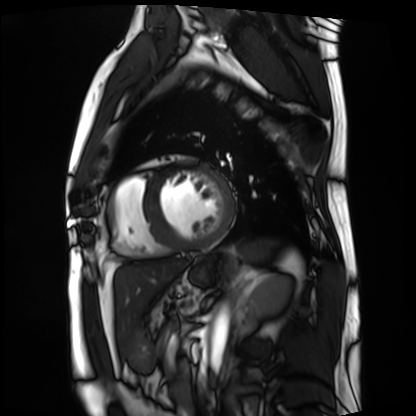
modality: cardiac MRI; subject group: patient.